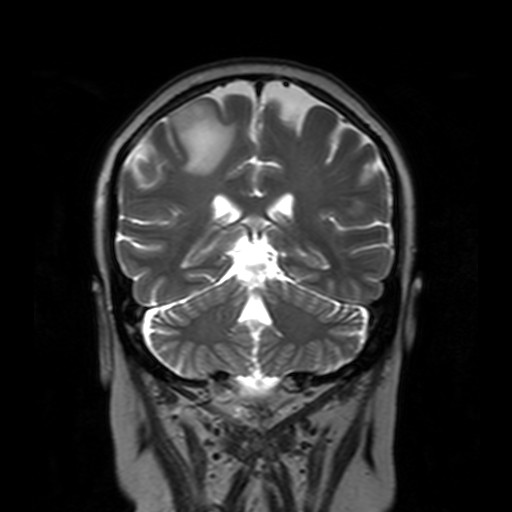
3 Tesla brain MRI.
Series: T2-weighted turbo spin echo with SENSE.
Study: ring-enhancing brain masses.